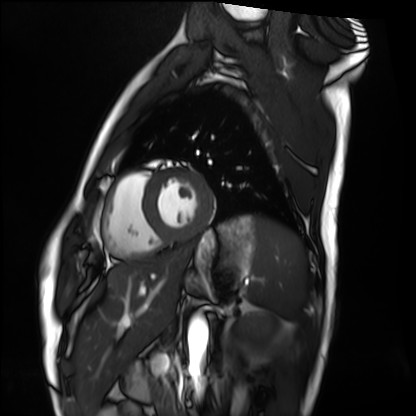
Cardiac MRI. Subject group: healthy volunteer.